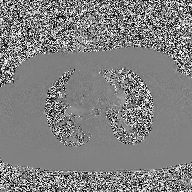
modality — 2D phase-contrast cine MRI of the ascending aorta.